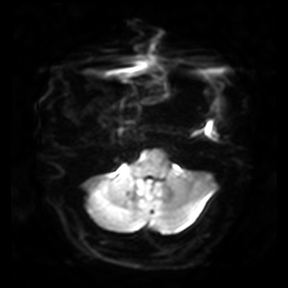
– modality · 3 Tesla brain MRI
– series · diffusion-weighted imaging
– study · ring-enhancing brain masses